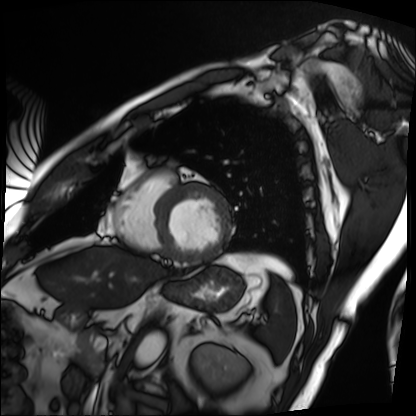
- modality: cardiac MRI
- subject group: patient